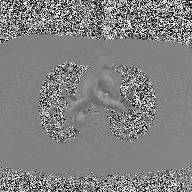
2D phase-contrast cine MRI of the ascending aorta, high-resolution GRAPPA acquisition.